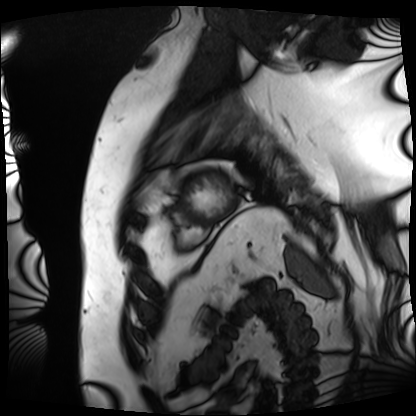
Q: What kind of scan is this?
A: Cardiac MRI.
Subject group: patient.